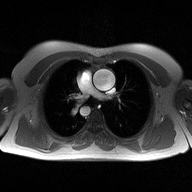
modality: 2D phase-contrast cine MRI of the ascending aorta.